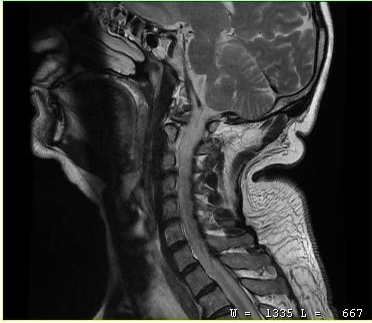
modality:
  type: cervical spine MRI
study_topic: cervical spondylosis